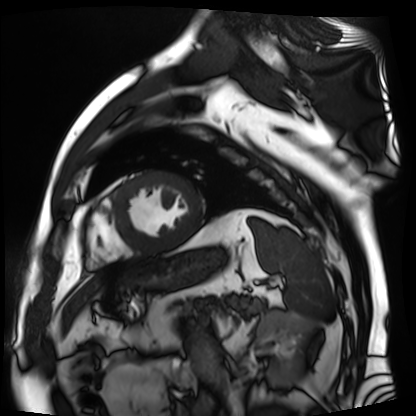
Clinical context: Cardiac MR image of the myocardium. Subject cohort: cardiac patient.